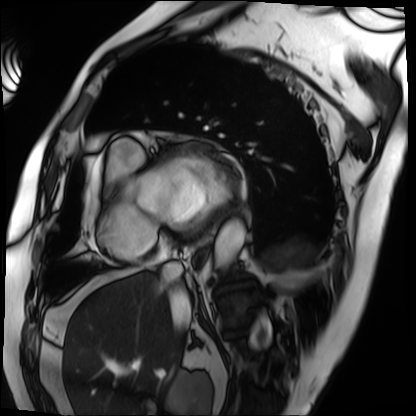
Cardiac MRI.
Subject group: patient.